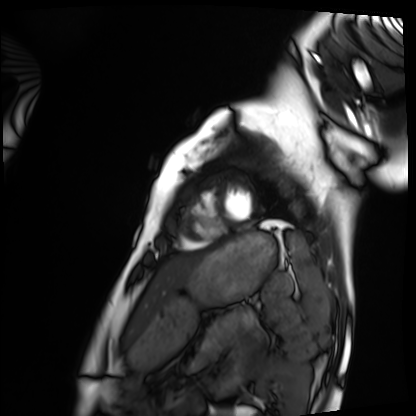
Cardiac MRI.
Subject group: healthy volunteer.